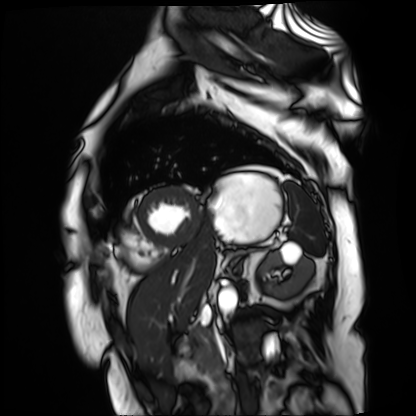
modality = cardiac MR image of the myocardium | subject cohort = cardiac patient.